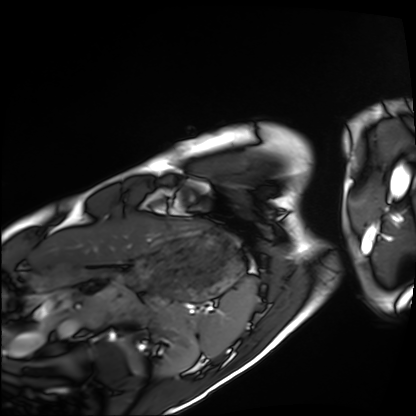
Q: What kind of scan is this?
A: Cardiac MRI.
Subject group: healthy volunteer.